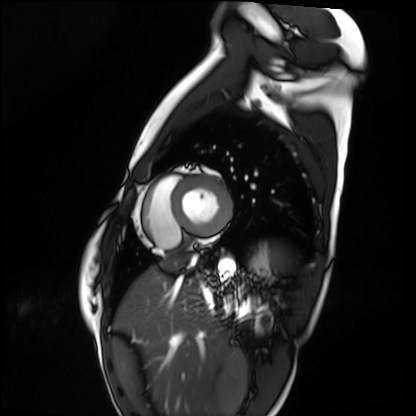
– modality · cardiac MRI
– subject group · healthy volunteer